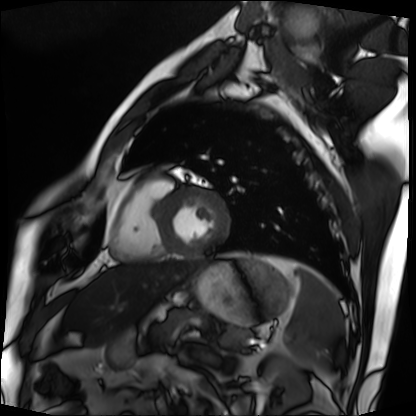
{"modality": "cardiac MRI", "cohort": "patient"}